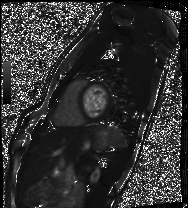
{"modality": "cardiac MRI", "cohort": "healthy volunteer"}